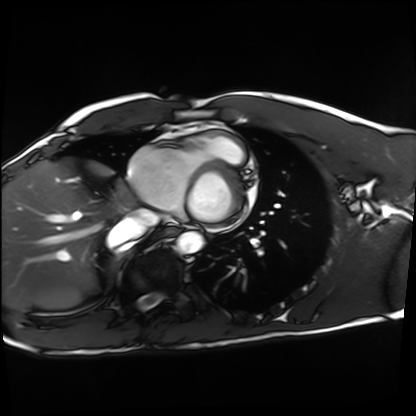
{
  "modality": "cardiac MRI",
  "cohort": "healthy volunteer"
}